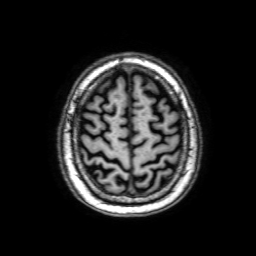
modality = 3 Tesla brain MRI
series = 3D T1-weighted with SENSE
study = ring-enhancing brain masses